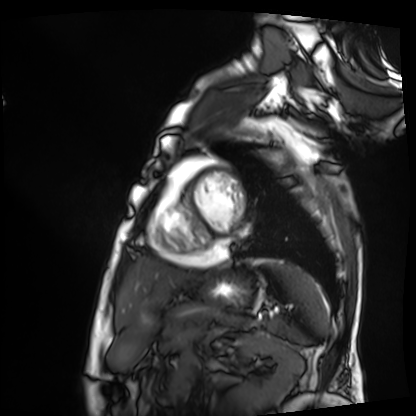
Cardiac MRI. Subject group: patient.